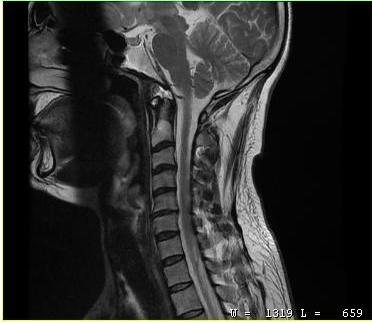
Q: What kind of scan is this?
A: MRI of the cervical spine.
Study: cervical spondylosis.